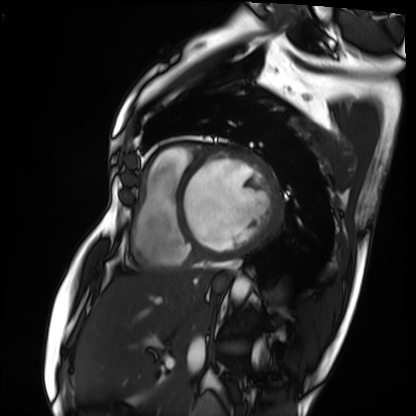
modality = cardiac MRI, subject group = patient.